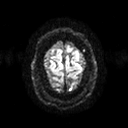
3 Tesla brain MRI.
Series: diffusion tensor imaging (medium iso).
Study: ring-enhancing brain masses.